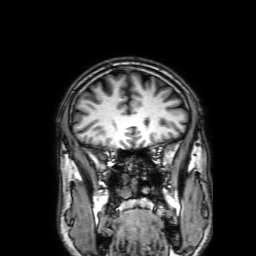
3 Tesla brain MRI. Series: 3D T1-weighted with SENSE. Study: ring-enhancing brain masses.